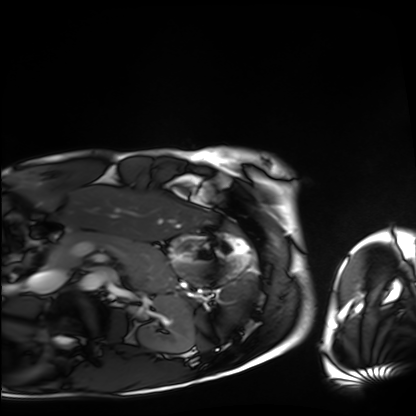
• modality — cardiac MRI
• subject group — healthy volunteer